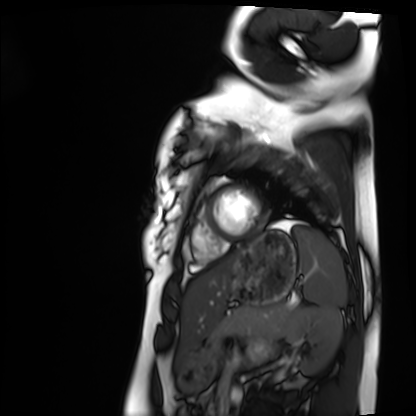
Case:
• modality: cardiac MRI
• subject group: healthy volunteer